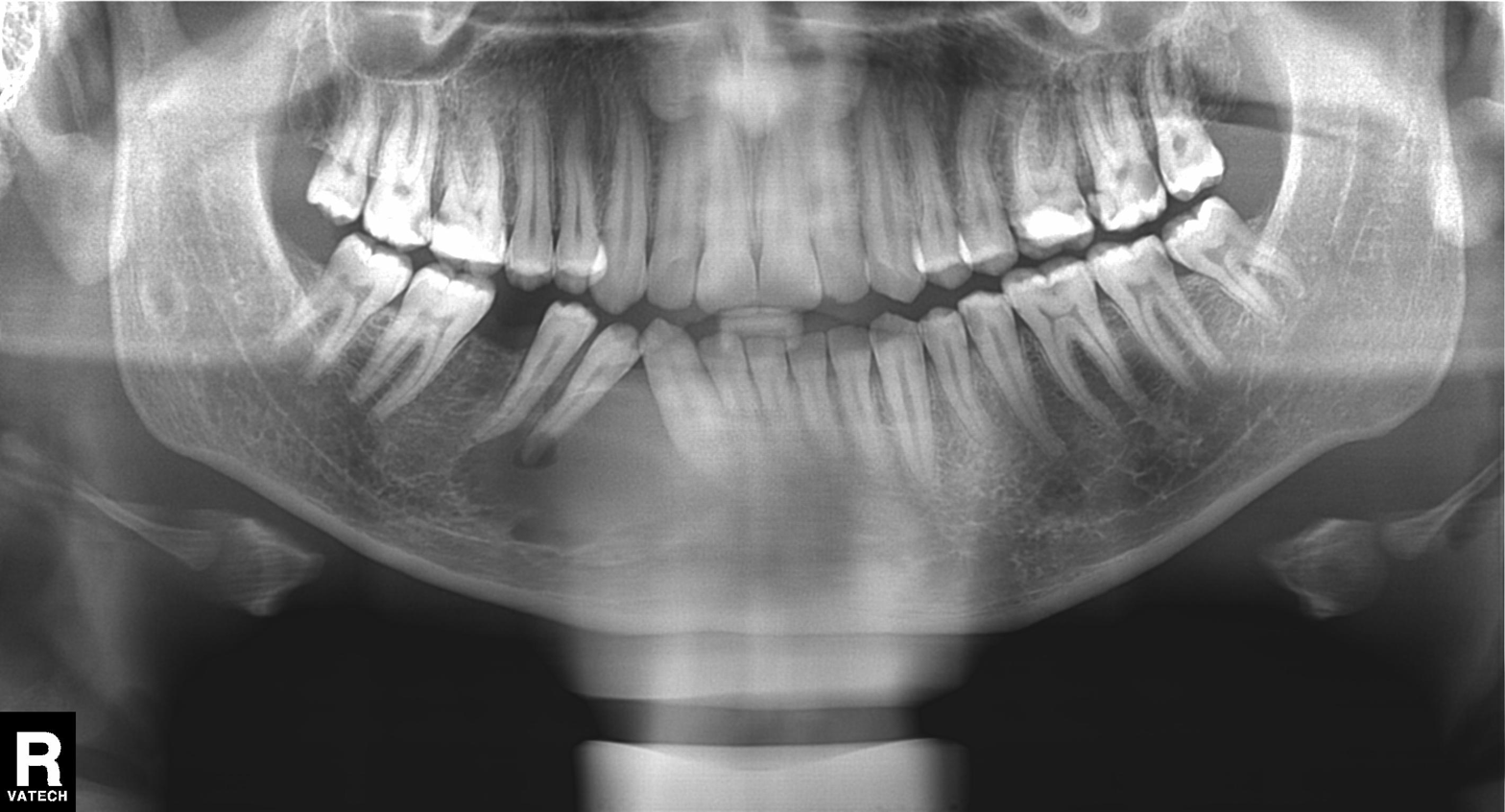
- modality — panoramic dental radiograph (orthopantomogram)
- finding — tooth impaction